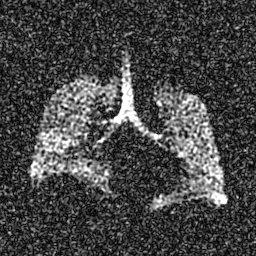
Summary: Hyperpolarized 129Xe ventilation MRI of the lungs. SNR level 6 of 8 (the deposit holds this scan as its native image and as seven SNR-degraded versions).